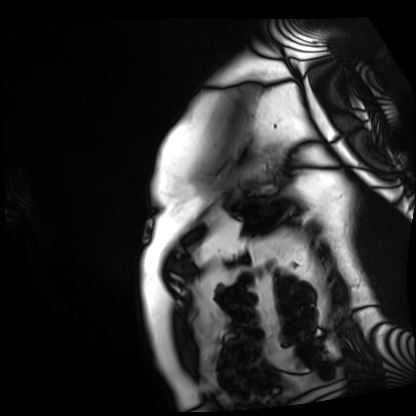
Cardiac MRI. Subject group: patient.